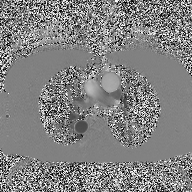
- modality · 2D phase-contrast cine MRI of the ascending aorta